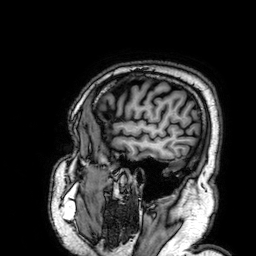
modality = 3 Tesla brain MRI | series = 3D T1-weighted | study = ring-enhancing brain masses.